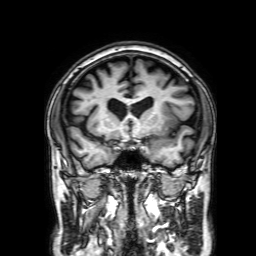
Summary:
3 Tesla brain MRI. Series: 3D T1-weighted with SENSE. Study: ring-enhancing brain masses.